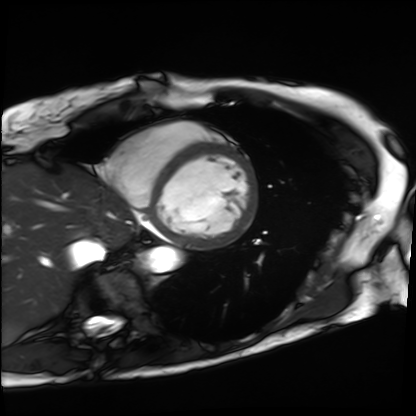
Summary: Cardiac MRI. Subject group: patient.